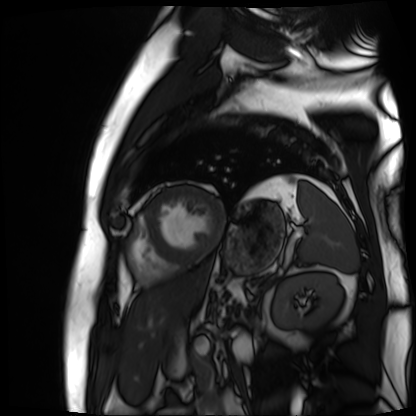
Cardiac MR image of the myocardium. Subject cohort: cardiac patient.